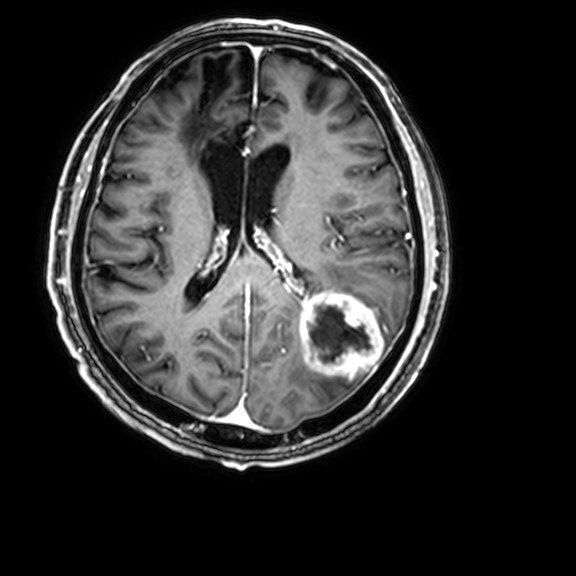
Q: What kind of scan is this?
A: 3 Tesla brain MRI.
Q: Series?
A: 3D T1-weighted with CLEAR.
Study: ring-enhancing brain masses.